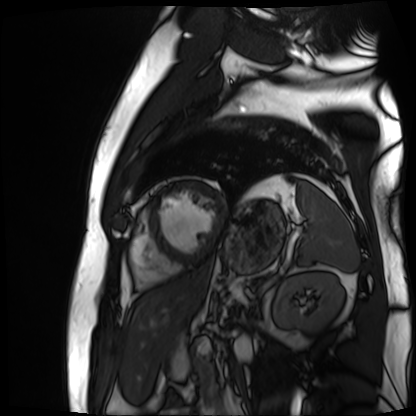
modality = cardiac MR image of the myocardium, subject cohort = cardiac patient.